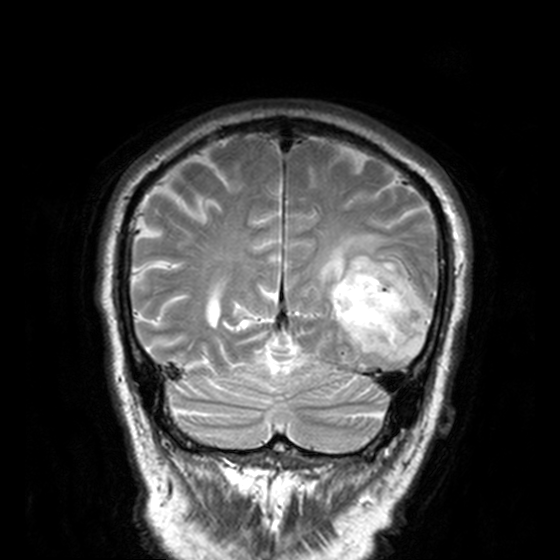
modality:
  type: brain MRI
  field_strength: 3T
series: T2-weighted turbo spin echo, 3 mm
study_topic: ring-enhancing brain masses